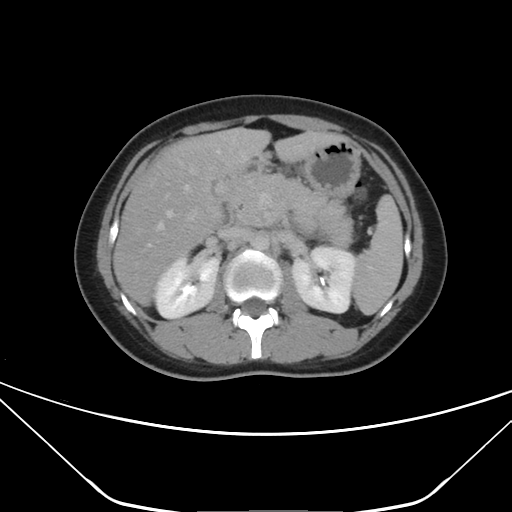
Case:
– modality: multiphase abdominal CT, liver, delayed phase
– patient: female, age 28